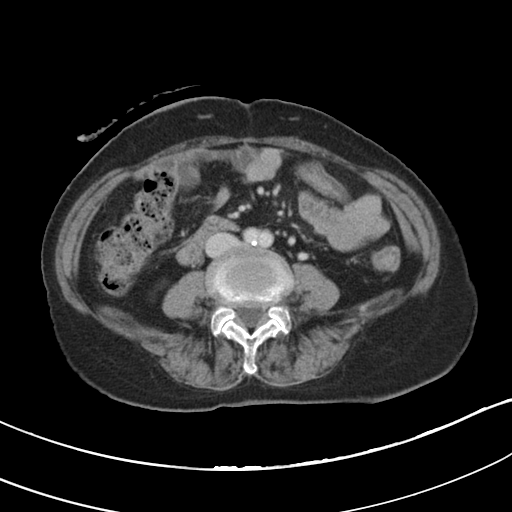
{"modality": {"type": "multiphase abdominal CT", "region": "liver", "phase": "portal venous"}, "patient": {"sex": "female", "age": 75}}